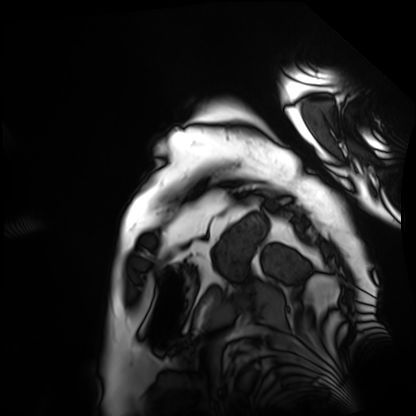
{
  "modality": "cardiac MRI",
  "cohort": "patient"
}